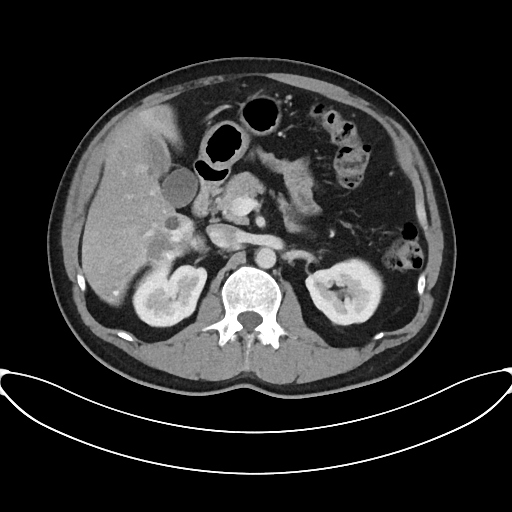
• modality · multiphase abdominal CT, liver, portal venous phase
• patient · male, age 45